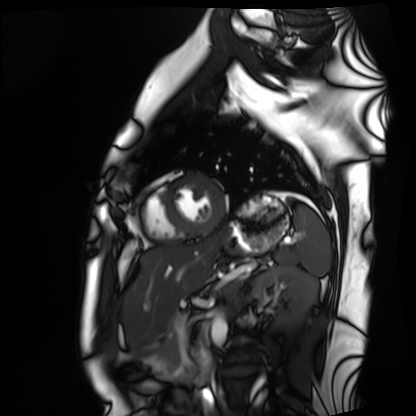
Cardiac MRI. Subject group: healthy volunteer.